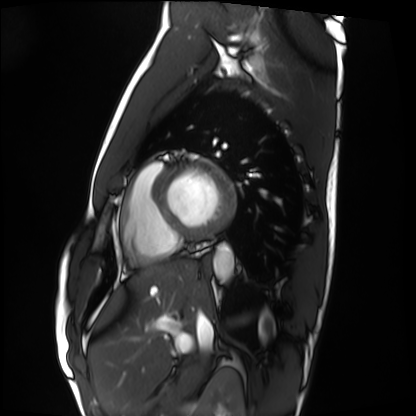
modality: cardiac MRI; subject group: healthy volunteer.